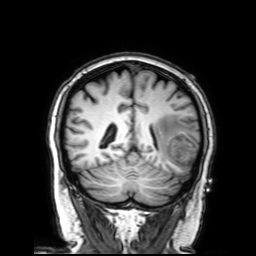
- modality: 3 Tesla brain MRI
- study: ring-enhancing brain masses